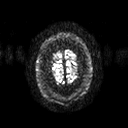
3 Tesla brain MRI. Series: diffusion tensor imaging (medium iso). Study: ring-enhancing brain masses.